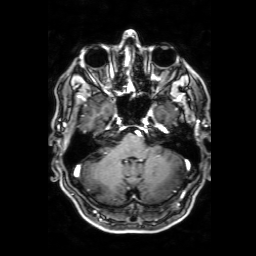
Summary: 3 Tesla brain MRI. Series: 3D T1-weighted with SENSE. Study: ring-enhancing brain masses.